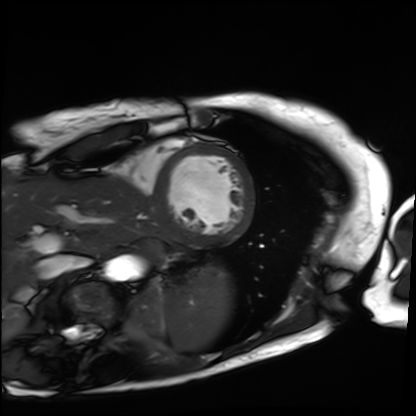
modality: cardiac MRI; subject group: patient.